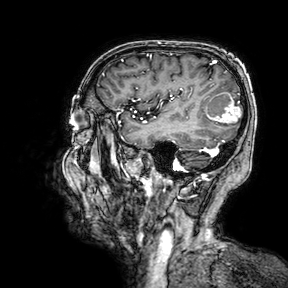
• modality: 3 Tesla brain MRI
• study: ring-enhancing brain masses